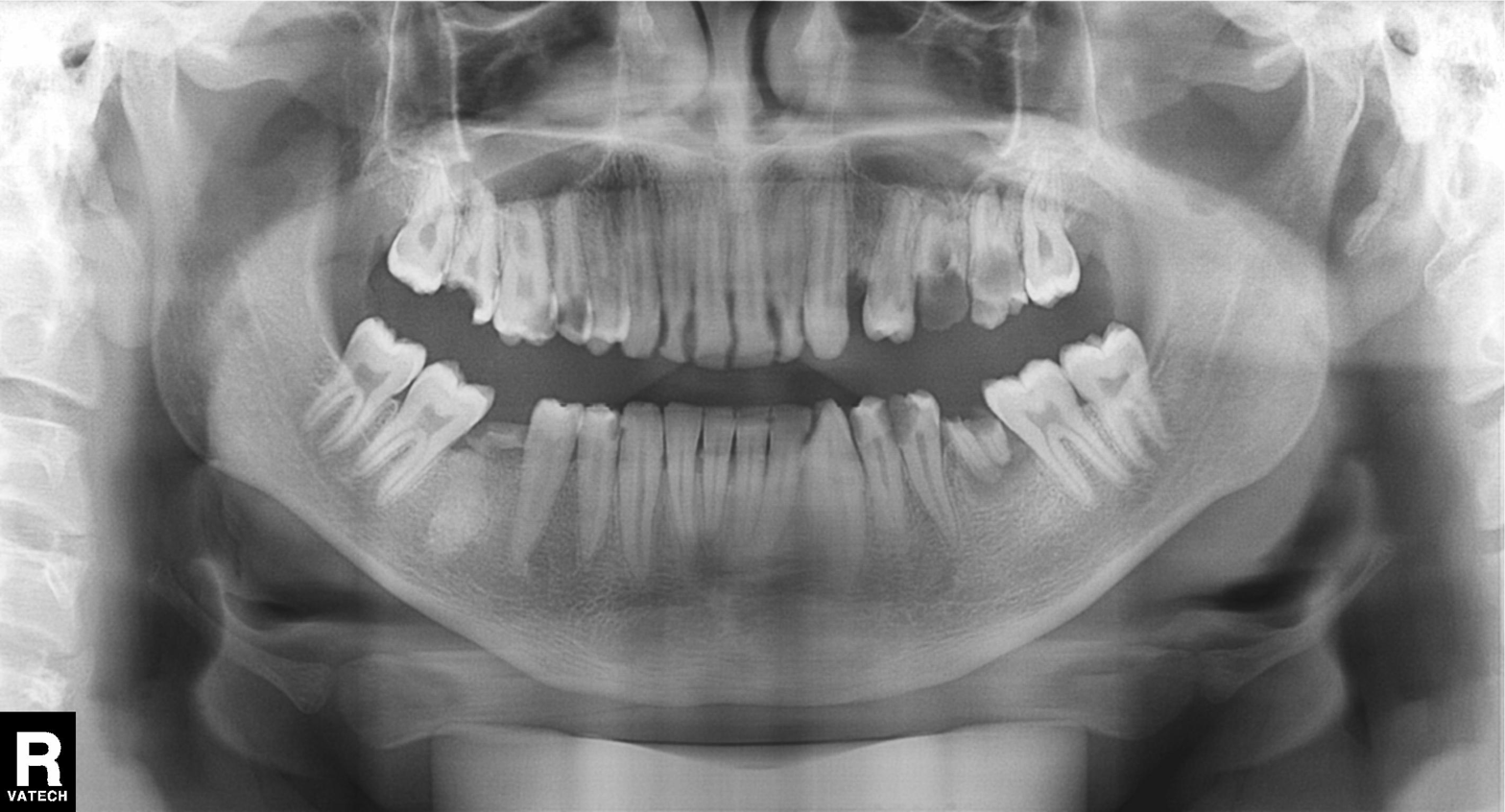
Clinical context: Panoramic dental radiograph (orthopantomogram).
Conclusion: Tooth impaction.